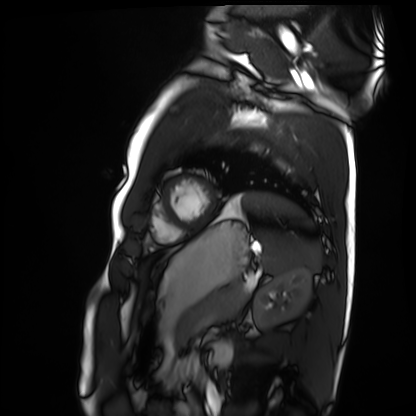
• modality — cardiac MRI
• subject group — healthy volunteer